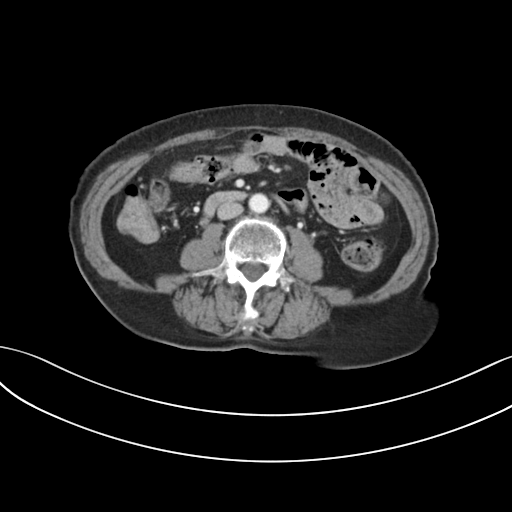
Q: What kind of scan is this?
A: Multiphase abdominal CT, liver, portal venous phase.
Q: Patient?
A: Female, age 68.